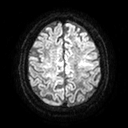
* modality: 3 Tesla brain MRI
* series: diffusion tensor imaging (medium iso)
* study: ring-enhancing brain masses